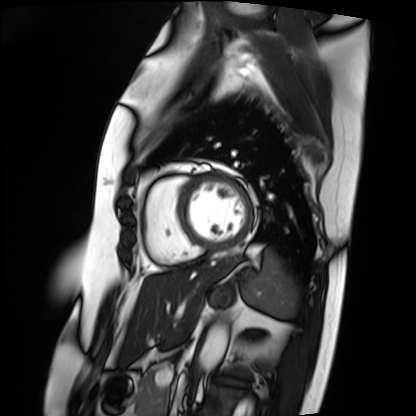
{
  "modality": "cardiac MRI",
  "cohort": "patient"
}